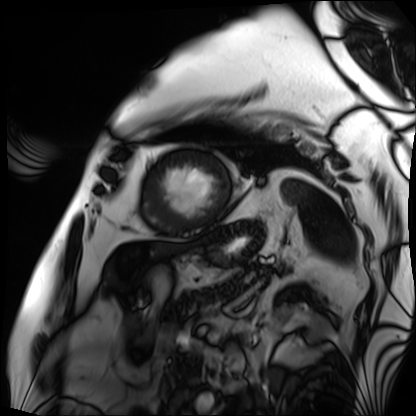
Q: What kind of scan is this?
A: Cardiac MRI.
Subject group: patient.